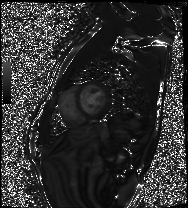
modality: cardiac MRI; subject group: healthy volunteer.